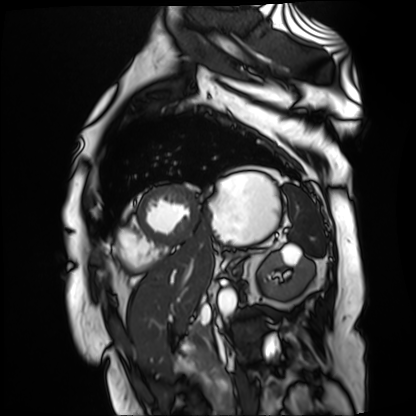
Cardiac MR image of the myocardium.
Subject cohort: cardiac patient.